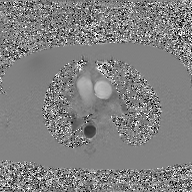
Q: What kind of scan is this?
A: 2D phase-contrast cine MRI of the ascending aorta, GAN super-resolution reconstruction.